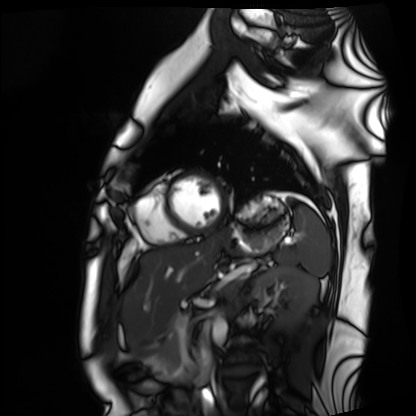
modality = cardiac MRI; subject group = healthy volunteer.